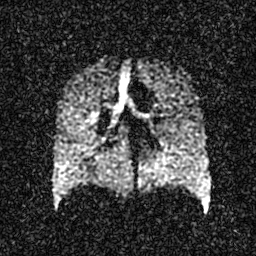
Hyperpolarized 129Xe ventilation MRI of the lungs. SNR level 3 of 8 (the deposit holds this scan as its native image and as seven SNR-degraded versions).